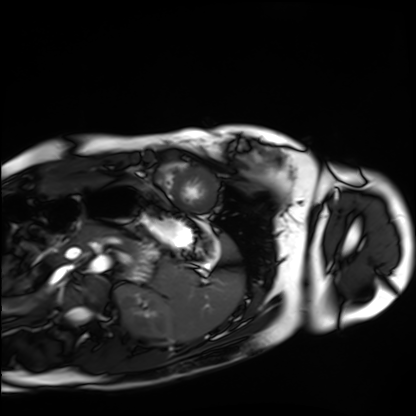
Summary:
Cardiac MRI. Subject group: healthy volunteer.